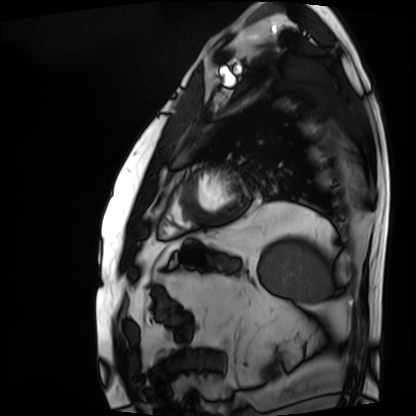
{"modality": "cardiac MRI", "cohort": "patient"}